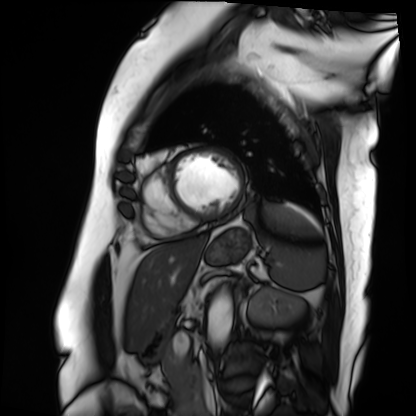
| field | value |
|---|---|
| modality | cardiac MRI |
| subject group | patient |